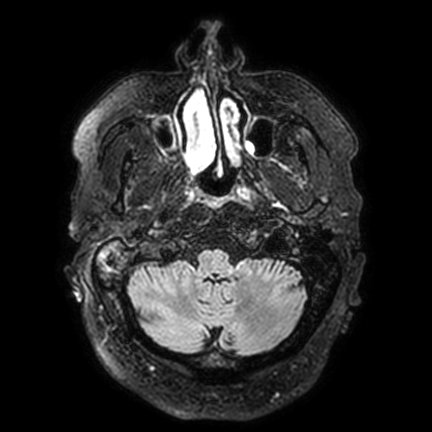
modality = 3 Tesla brain MRI; series = FLAIR VISTA with SENSE; study = ring-enhancing brain masses.